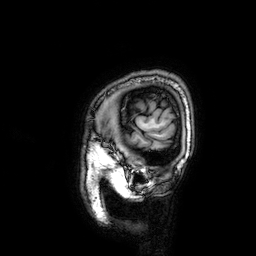
Q: What kind of scan is this?
A: 3 Tesla brain MRI.
Q: Series?
A: 3D T1-weighted.
Study: ring-enhancing brain masses.